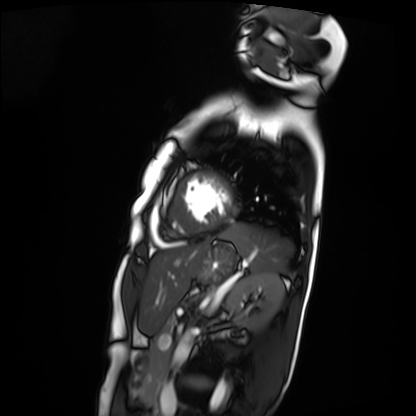
Q: What kind of scan is this?
A: Cardiac MRI.
Subject group: patient.